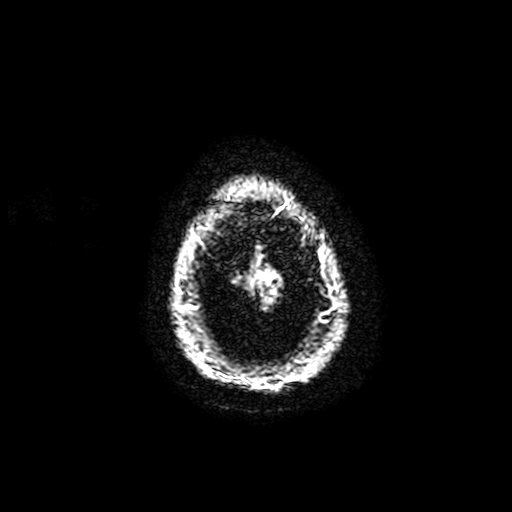
3 Tesla brain MRI. Series: T2-weighted fast field echo with SENSE. Study: ring-enhancing brain masses.